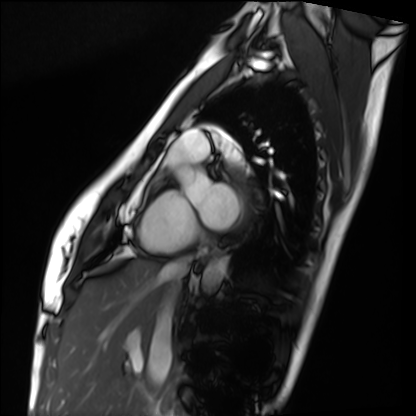
  modality: cardiac MRI
  cohort: healthy volunteer